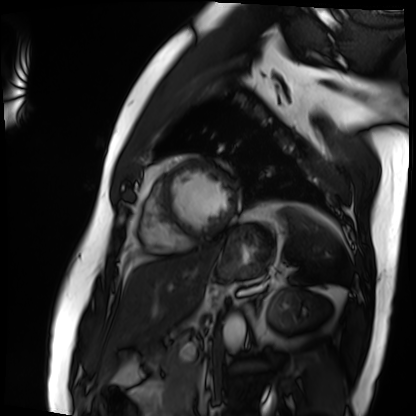
Cardiac MRI. Subject group: patient.